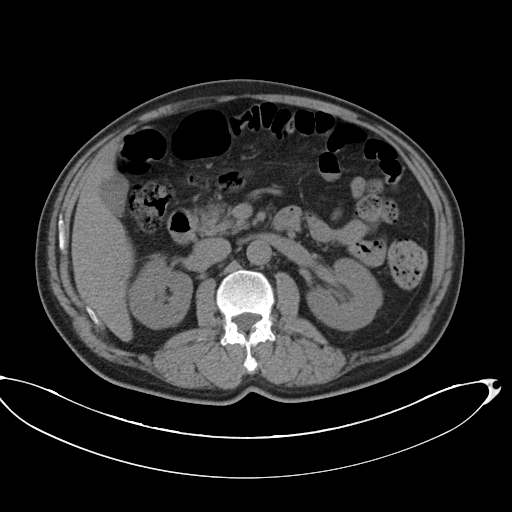
modality: multiphase abdominal CT, liver, non-contrast phase